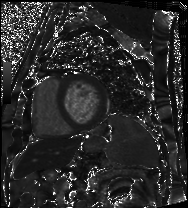
Clinical context:
Cardiac MRI. Subject group: patient.